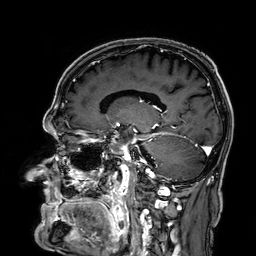
Q: What kind of scan is this?
A: 3 Tesla brain MRI.
Q: Series?
A: 3D T1-weighted.
Study: ring-enhancing brain masses.